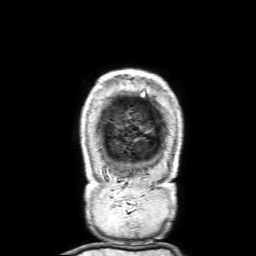
3 Tesla brain MRI. Series: 3D T1-weighted with SENSE. Study: ring-enhancing brain masses.